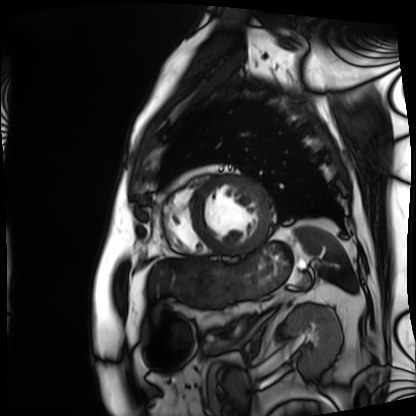
Cardiac MRI. Subject group: patient.